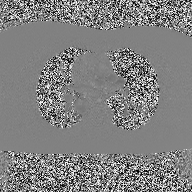
Summary:
2D phase-contrast cine MRI of the ascending aorta, high-resolution GRAPPA acquisition.